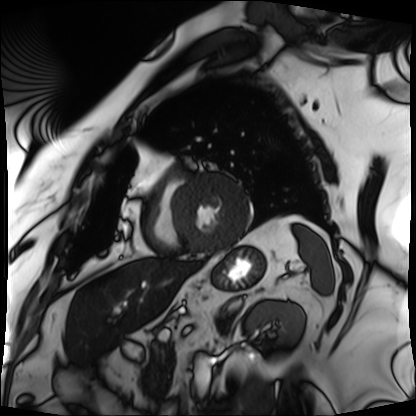
{"modality": "cardiac MRI", "cohort": "patient"}